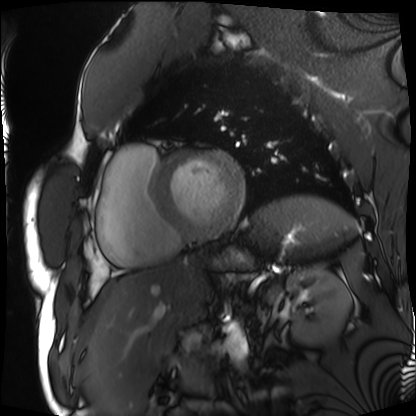
– modality — cardiac MRI
– subject group — patient